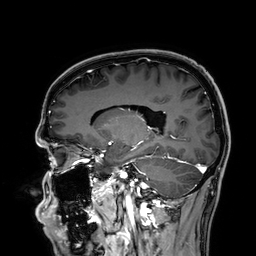
Summary:
3 Tesla brain MRI. Series: 3D T1-weighted. Study: ring-enhancing brain masses.